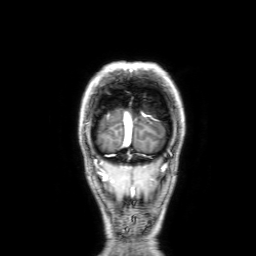
3 Tesla brain MRI. Series: 3D T1-weighted with SENSE. Study: ring-enhancing brain masses.